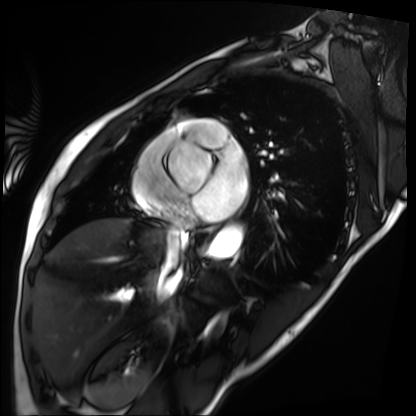
modality=cardiac MRI; subject group=patient.